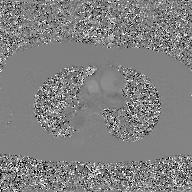
Summary:
2D phase-contrast cine MRI of the ascending aorta, GAN super-resolution reconstruction.